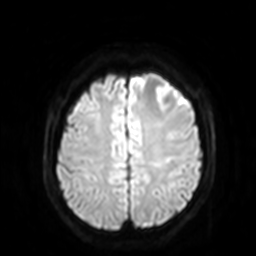
3 Tesla brain MRI. Series: diffusion-weighted imaging with SENSE (WIP). Study: ring-enhancing brain masses.